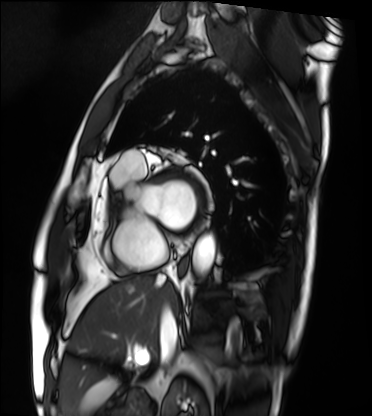
Case:
- modality: cardiac MRI
- subject group: patient